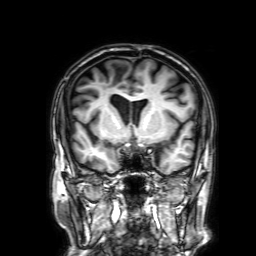
3 Tesla brain MRI.
Series: 3D T1-weighted with SENSE.
Study: ring-enhancing brain masses.